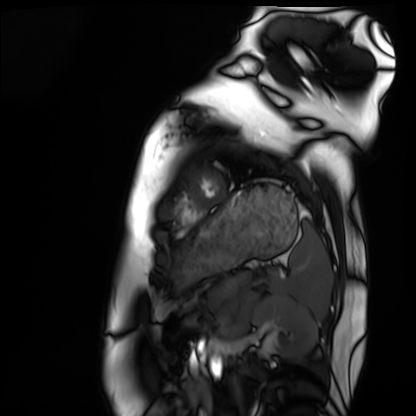
{
  "modality": "cardiac MRI",
  "cohort": "healthy volunteer"
}